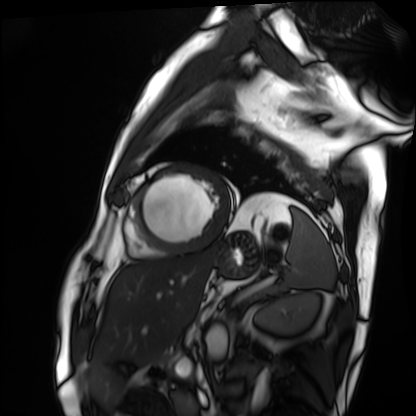
Cardiac MRI.
Subject group: patient.